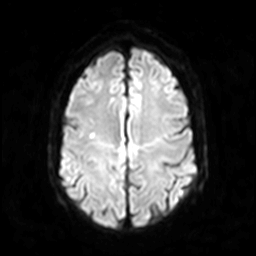
<case>
  <modality>
    <type>brain MRI</type>
    <field_strength>3T</field_strength>
  </modality>
  <series>diffusion-weighted imaging</series>
  <study_topic>ring-enhancing brain masses</study_topic>
</case>